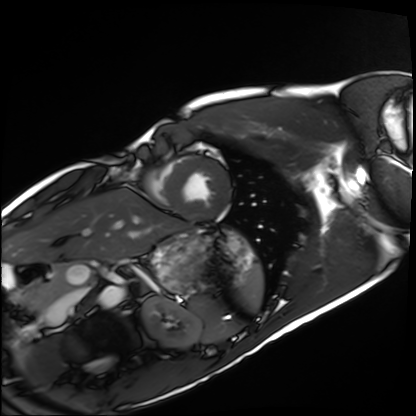
Cardiac MRI. Subject group: healthy volunteer.